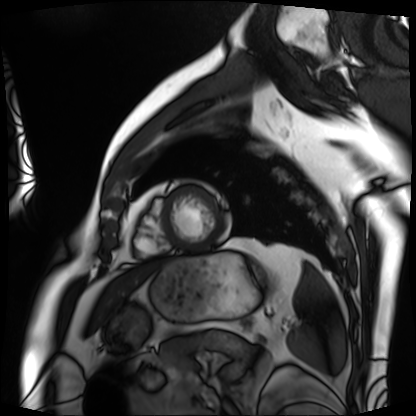
Summary: Cardiac MRI. Subject group: patient.